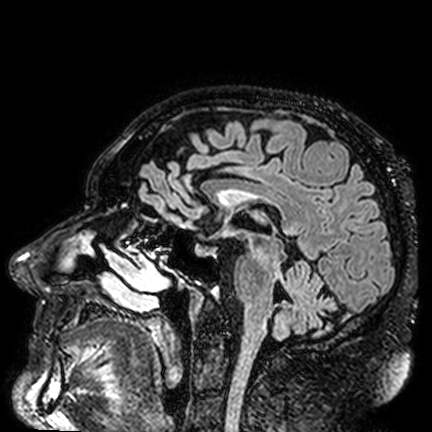
  modality:
    type: brain MRI
    field_strength: 3T
  study_topic: ring-enhancing brain masses